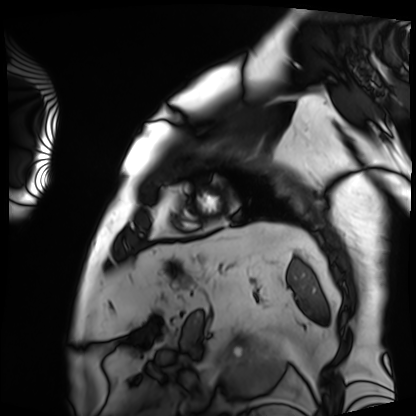
{"modality": "cardiac MRI", "cohort": "patient"}